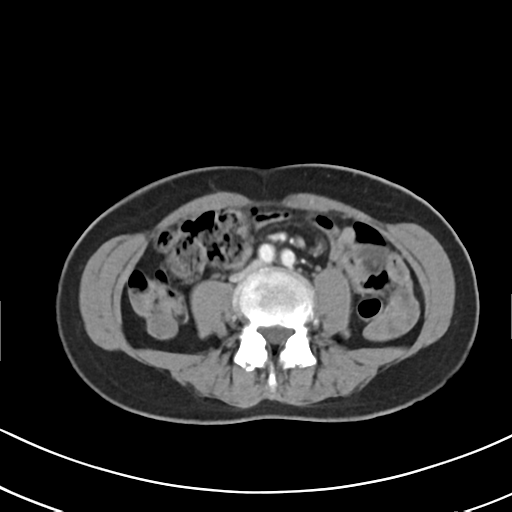
modality = multiphase abdominal CT, liver, arterial phase
patient = female, age 52